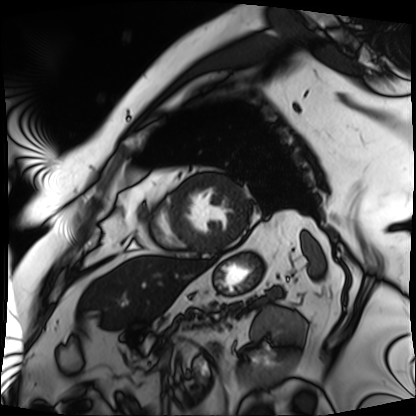
Cardiac MRI. Subject group: patient.